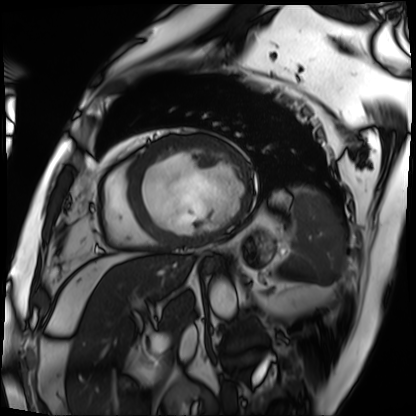
Cardiac MRI. Subject group: patient.